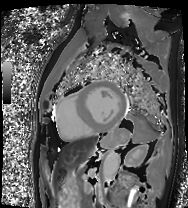
modality: cardiac MRI
subject group: patient